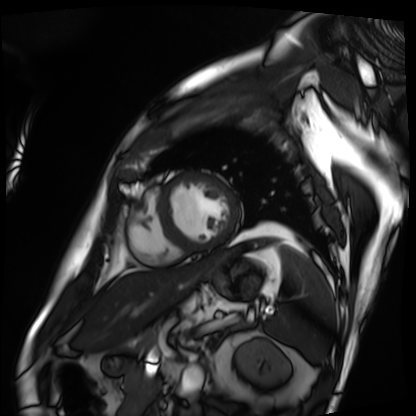
modality: cardiac MRI
subject group: patient